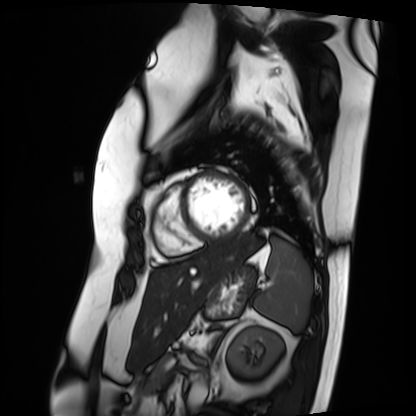
Cardiac MRI. Subject group: patient.